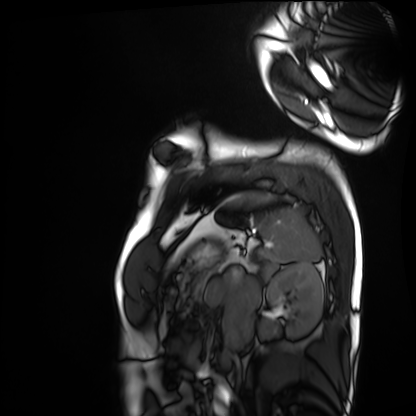
Case summary: Cardiac MRI. Subject group: healthy volunteer.